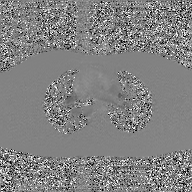
{"modality": {"type": "2D phase-contrast cine MRI", "region": "ascending aorta", "reconstruction": "GAN super-resolution reconstruction"}}